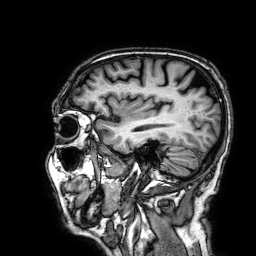
Case summary: 3 Tesla brain MRI. Series: 3D T1-weighted. Study: ring-enhancing brain masses.